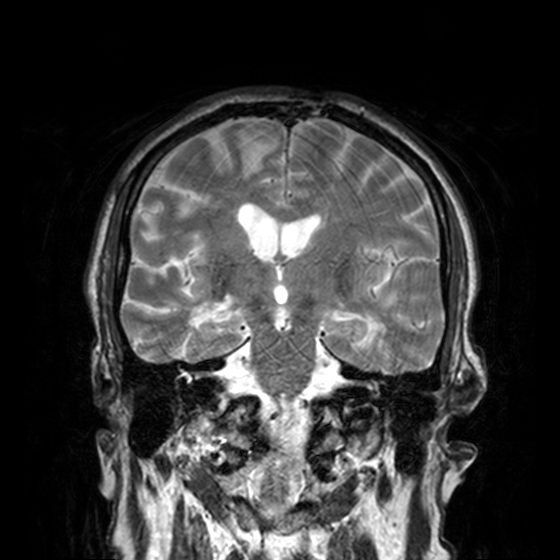
3 Tesla brain MRI.
Series: T2-weighted turbo spin echo, 3 mm.
Study: ring-enhancing brain masses.